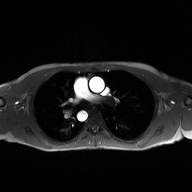
modality=2D phase-contrast cine MRI of the ascending aorta.